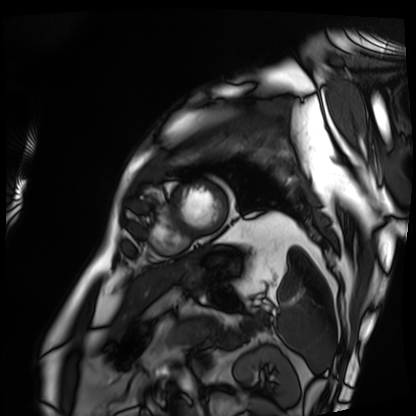
modality = cardiac MRI | subject group = patient.